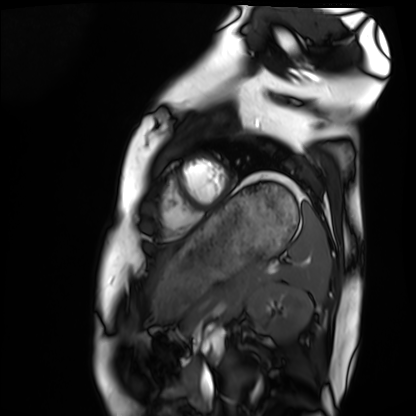
modality: cardiac MRI; subject group: healthy volunteer.